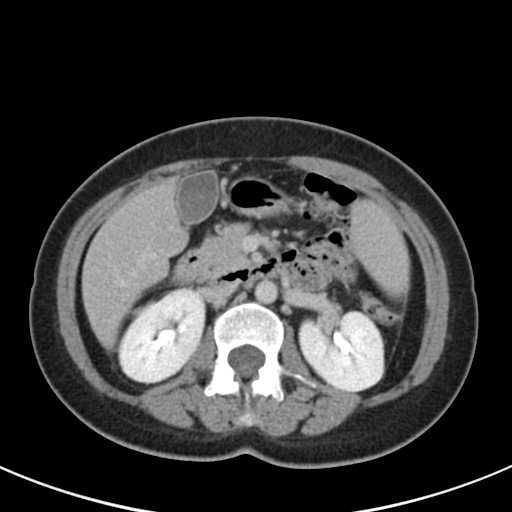
Multiphase abdominal CT, liver, delayed phase.
Patient: female, age 44.
History: viral hepatitis.